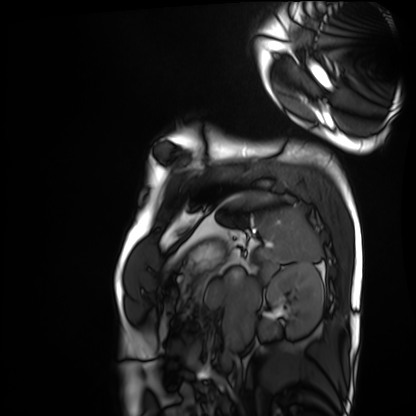
modality = cardiac MRI, subject group = healthy volunteer.